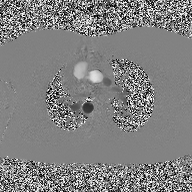
| field | value |
|---|---|
| modality | 2D phase-contrast cine MRI of the ascending aorta |